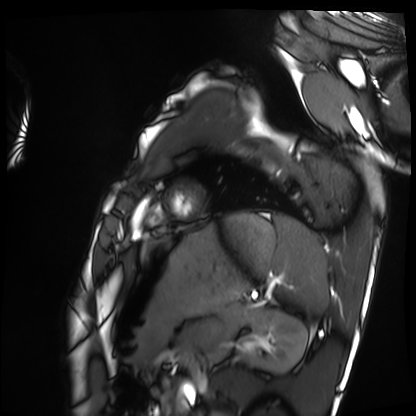
Clinical context: Cardiac MRI. Subject group: healthy volunteer.